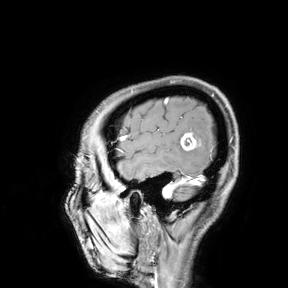
3 Tesla brain MRI. Study: ring-enhancing brain masses.